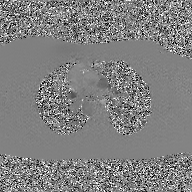
Case summary: 2D phase-contrast cine MRI of the ascending aorta, GAN super-resolution reconstruction.